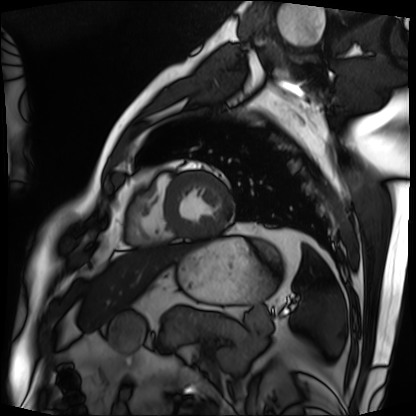
{"modality": "cardiac MRI", "cohort": "patient"}